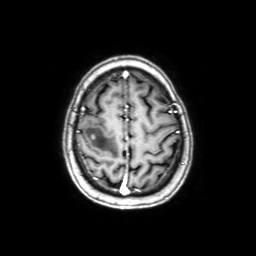
Q: What kind of scan is this?
A: 3 Tesla brain MRI.
Q: Series?
A: Axial with contrast.
Study: ring-enhancing brain masses.